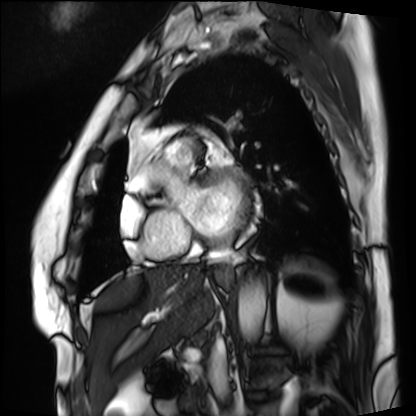
Cardiac MRI.
Subject group: patient.